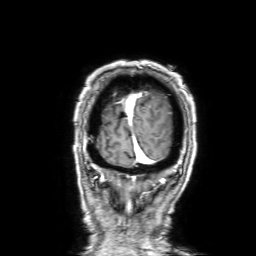
* modality: 3 Tesla brain MRI
* series: 3D T1-weighted with SENSE
* study: ring-enhancing brain masses